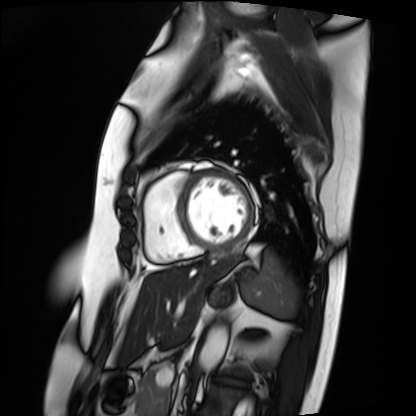
• modality — cardiac MRI
• subject group — patient